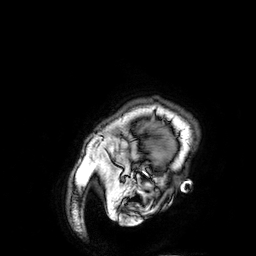
3 Tesla brain MRI.
Series: 3D T1-weighted.
Study: ring-enhancing brain masses.